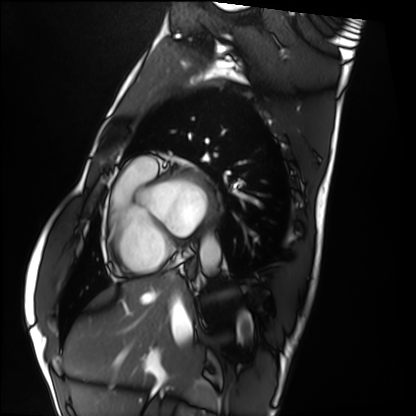
Summary: Cardiac MRI. Subject group: healthy volunteer.